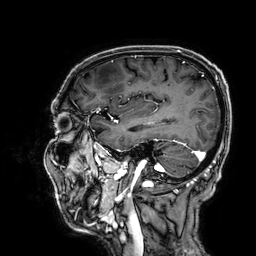
3 Tesla brain MRI. Series: 3D T1-weighted. Study: ring-enhancing brain masses.